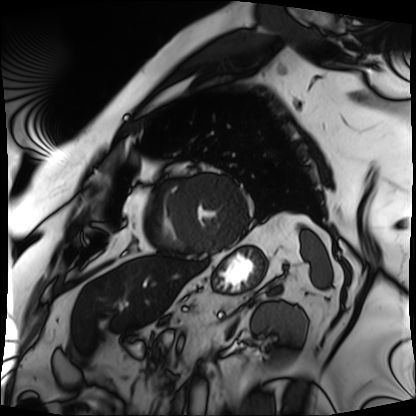
Cardiac MRI.
Subject group: patient.